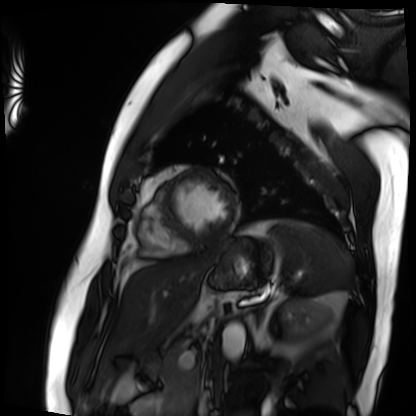
modality = cardiac MRI
subject group = patient